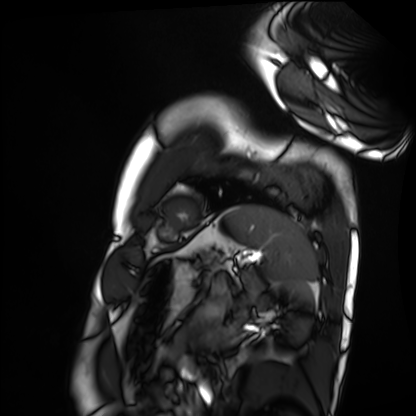
Q: What kind of scan is this?
A: Cardiac MRI.
Subject group: healthy volunteer.